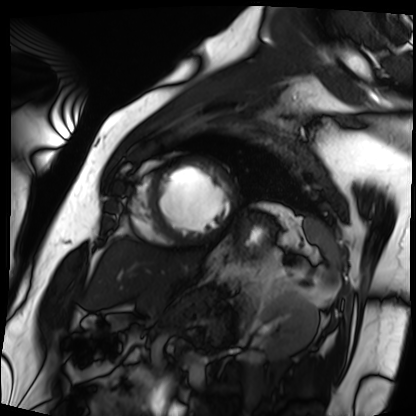
modality: cardiac MRI, subject group: patient.